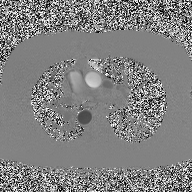
  modality:
    type: 2D phase-contrast cine MRI
    region: ascending aorta
    reconstruction: high-resolution GRAPPA acquisition